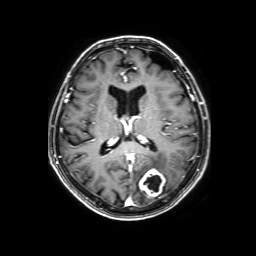
3 Tesla brain MRI. Series: 3D T1-weighted with SENSE. Study: ring-enhancing brain masses.